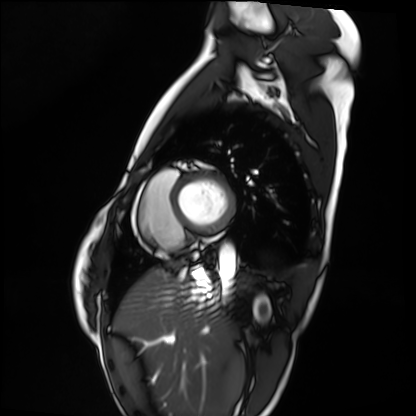
Cardiac MRI. Subject group: healthy volunteer.